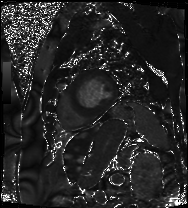
Cardiac MRI.
Subject group: patient.